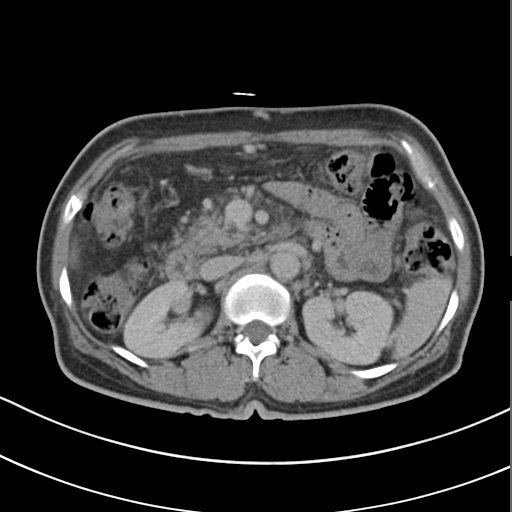
{"modality": {"type": "multiphase abdominal CT", "region": "liver", "phase": "delayed"}, "patient": {"sex": "female", "age": 55}, "history": ["cirrhosis", "viral hepatitis"]}